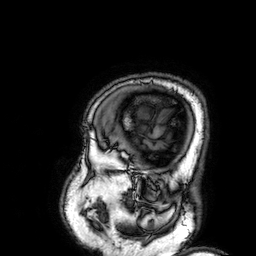
modality: 3 Tesla brain MRI
series: 3D T1-weighted
study: ring-enhancing brain masses